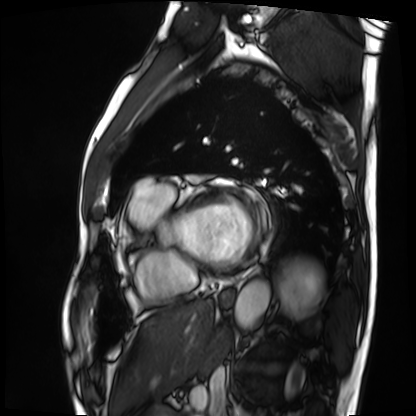
{"modality": "cardiac MRI", "cohort": "patient"}